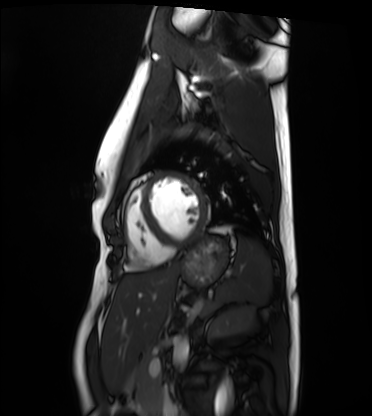
| field | value |
|---|---|
| modality | cardiac MRI |
| subject group | healthy volunteer |